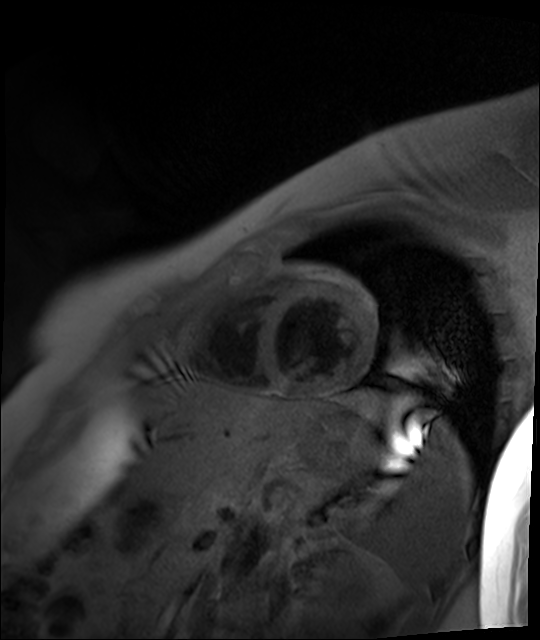
modality = cardiac MR image of the myocardium, subject cohort = healthy volunteer.